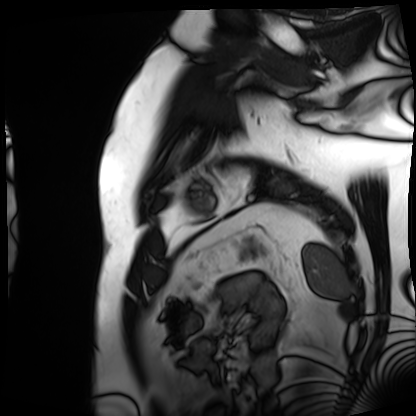
<record>
<modality>cardiac MRI</modality>
<cohort>patient</cohort>
</record>